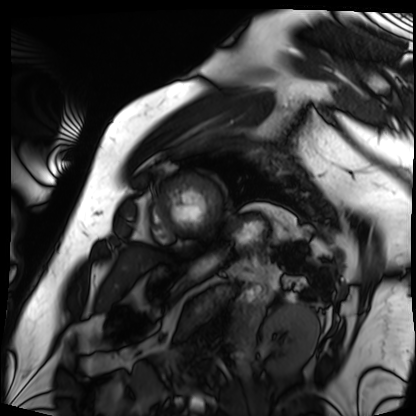
Cardiac MRI. Subject group: patient.